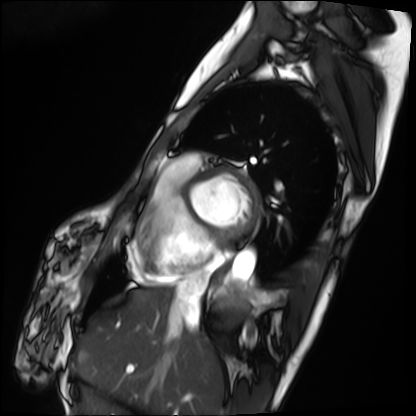
Cardiac MRI.
Subject group: patient.